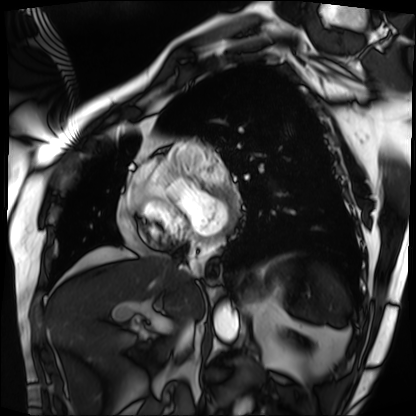
• modality · cardiac MRI
• subject group · patient